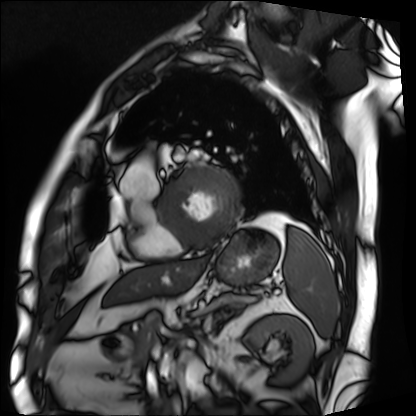
Cardiac MRI. Subject group: patient.